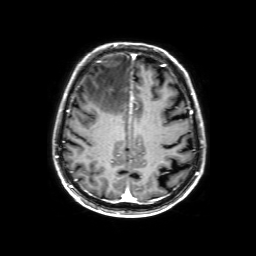
3 Tesla brain MRI. Series: 3D T1-weighted with SENSE. Study: ring-enhancing brain masses.